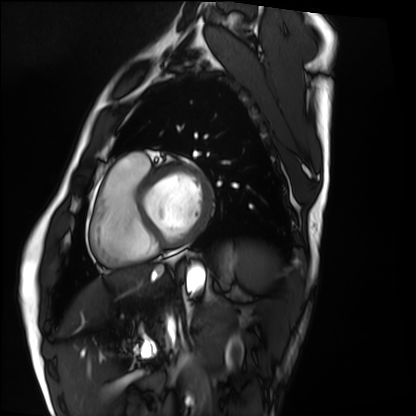
{"modality": "cardiac MRI", "cohort": "healthy volunteer"}